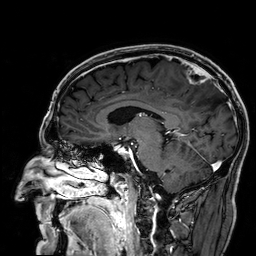
Case summary: 3 Tesla brain MRI. Series: 3D T1-weighted. Study: ring-enhancing brain masses.